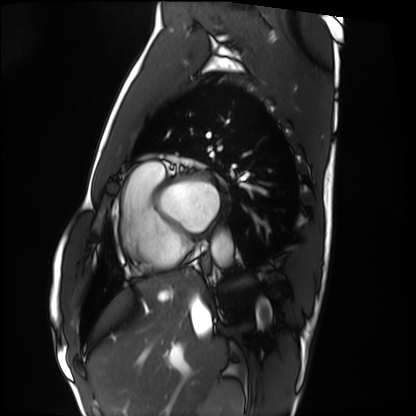
{"modality": "cardiac MRI", "cohort": "healthy volunteer"}